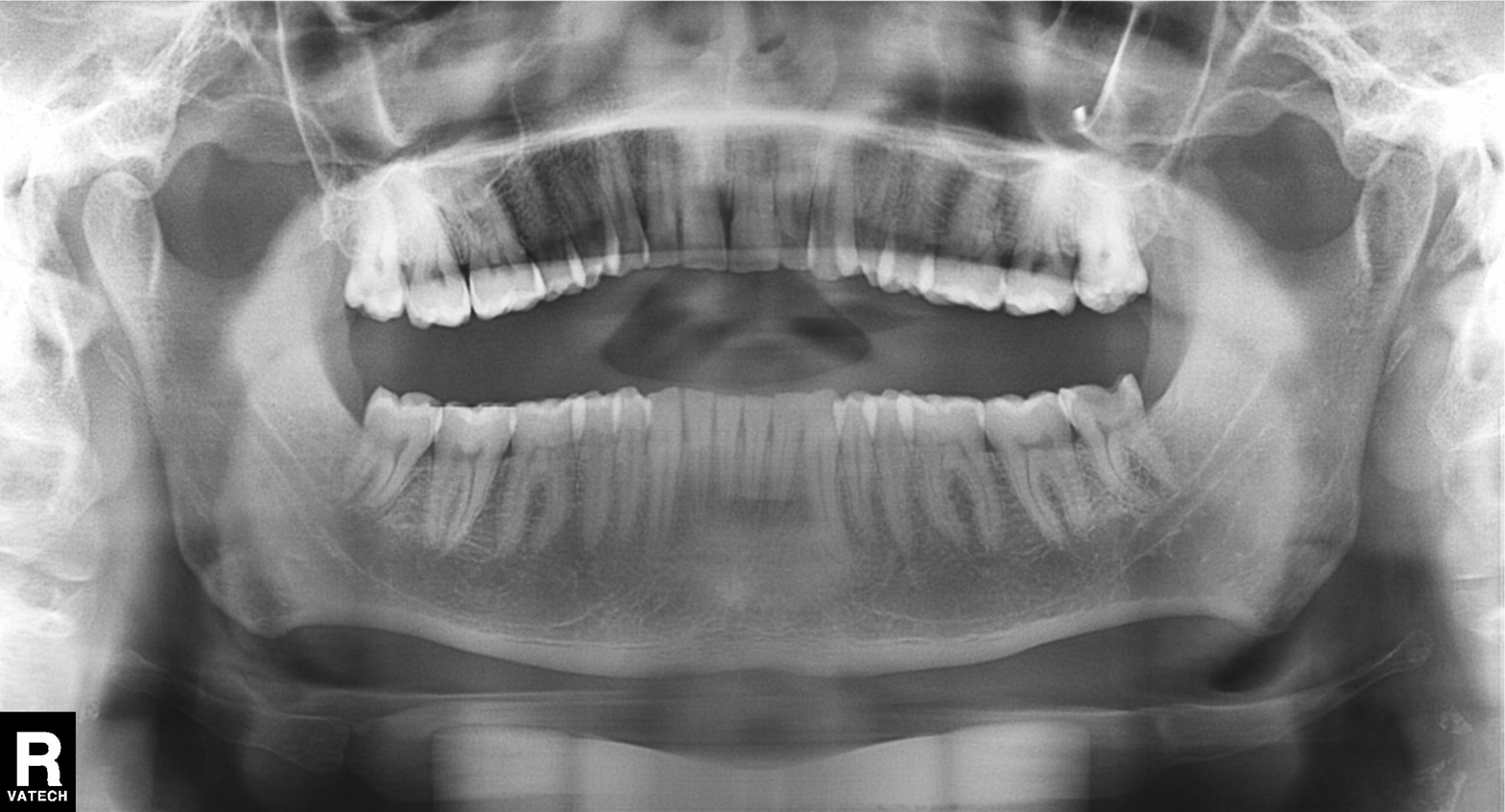
Clinical context: Panoramic dental radiograph (orthopantomogram).
Impression: Dental caries (cavities).